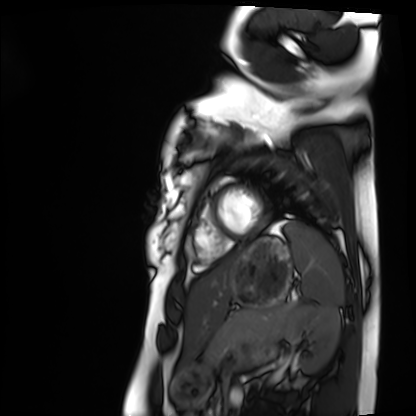
Cardiac MRI. Subject group: healthy volunteer.